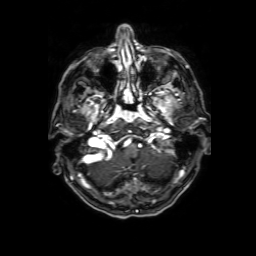
3 Tesla brain MRI. Series: 3D T1-weighted with SENSE. Study: ring-enhancing brain masses.